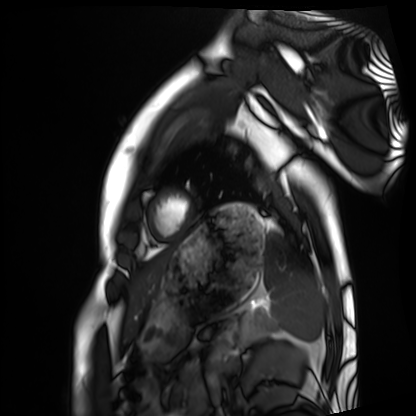
* modality — cardiac MRI
* subject group — healthy volunteer